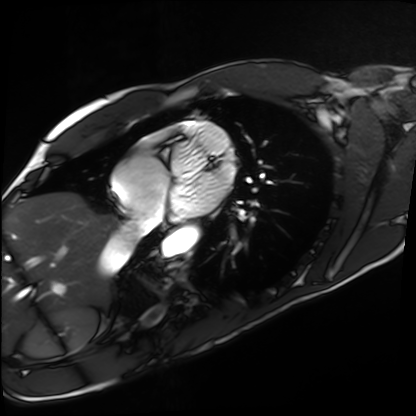
Cardiac MRI. Subject group: healthy volunteer.